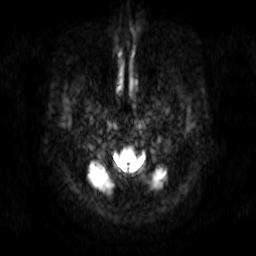
Q: What kind of scan is this?
A: 3 Tesla brain MRI.
Q: Series?
A: Diffusion-weighted imaging.
Study: ring-enhancing brain masses.